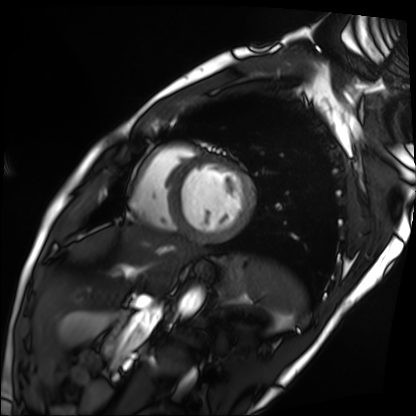
| field | value |
|---|---|
| modality | cardiac MRI |
| subject group | patient |